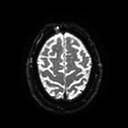
Clinical context:
3 Tesla brain MRI. Series: diffusion tensor imaging (medium iso). Study: ring-enhancing brain masses.